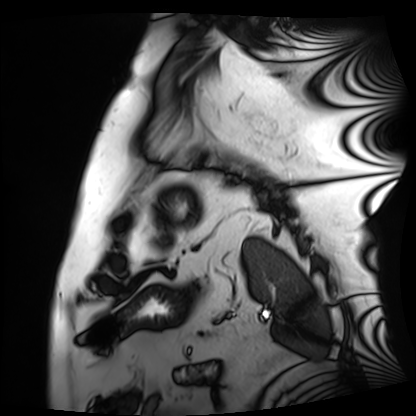
Summary:
Cardiac MRI. Subject group: patient.